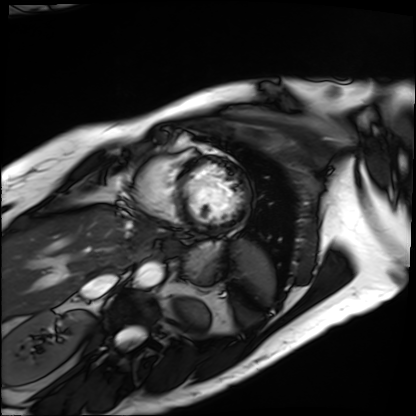
modality: cardiac MRI
cohort: patient